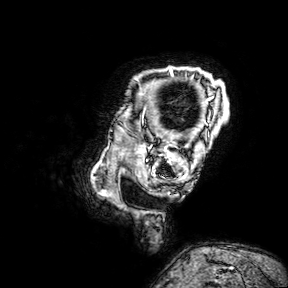
modality — 3 Tesla brain MRI; series — 3D T1-weighted turbo field echo with SENSE; study — ring-enhancing brain masses.